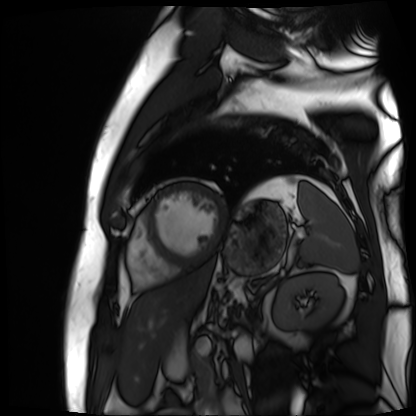
Cardiac MR image of the myocardium. Subject cohort: cardiac patient.